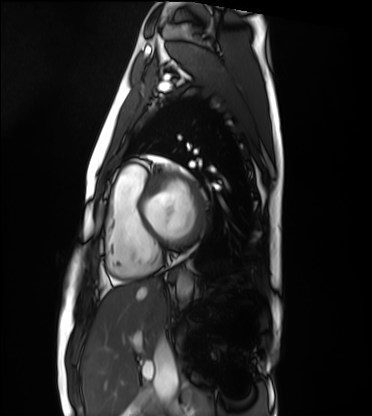
Cardiac MRI. Subject group: healthy volunteer.